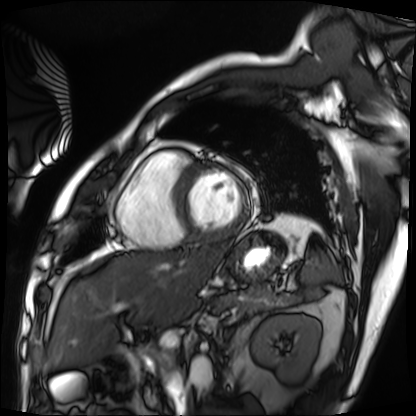
Q: What kind of scan is this?
A: Cardiac MRI.
Subject group: patient.